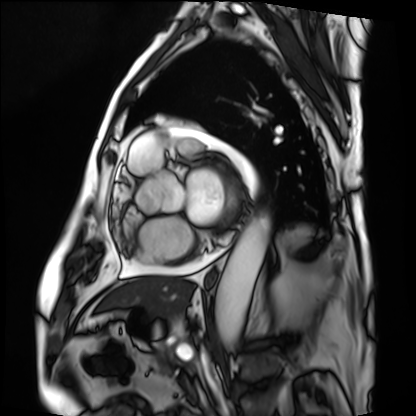
Q: What kind of scan is this?
A: Cardiac MRI.
Subject group: patient.